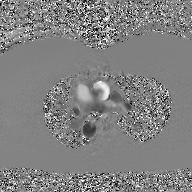
<case>
  <modality>
    <type>2D phase-contrast cine MRI</type>
    <region>ascending aorta</region>
    <reconstruction>GAN super-resolution reconstruction</reconstruction>
  </modality>
</case>